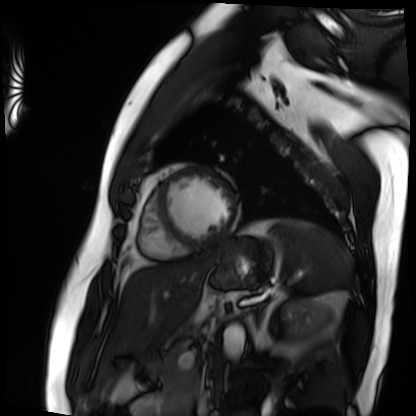
Cardiac MRI. Subject group: patient.